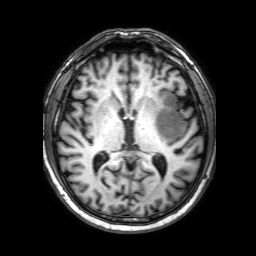
3 Tesla brain MRI.
Series: 3D T1-weighted with SENSE.
Study: ring-enhancing brain masses.